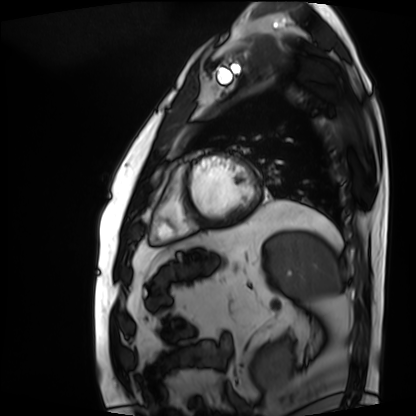
Q: What kind of scan is this?
A: Cardiac MRI.
Subject group: patient.